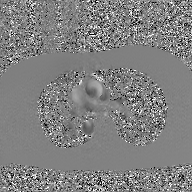
• modality: 2D phase-contrast cine MRI of the ascending aorta, GAN super-resolution reconstruction